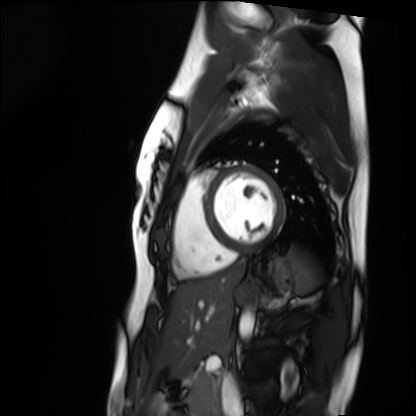
modality: cardiac MRI | subject group: healthy volunteer.